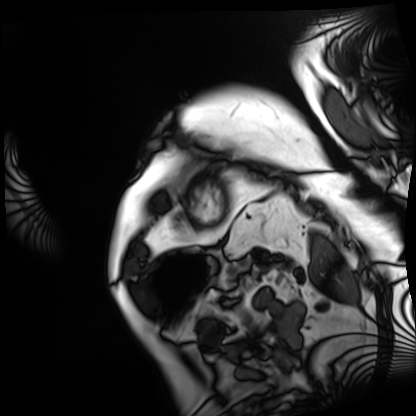
Summary: Cardiac MRI. Subject group: patient.